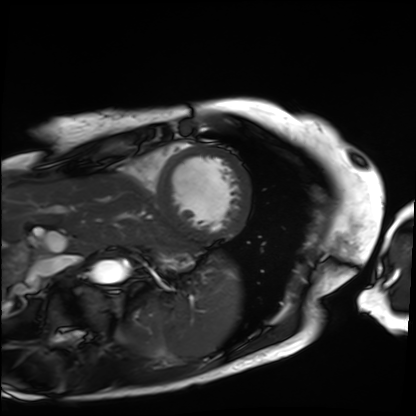
Cardiac MRI. Subject group: patient.